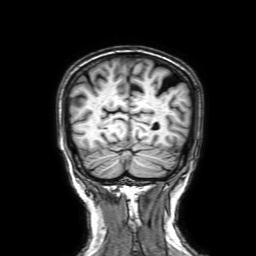
Summary:
3 Tesla brain MRI. Series: 3D T1-weighted with SENSE. Study: ring-enhancing brain masses.